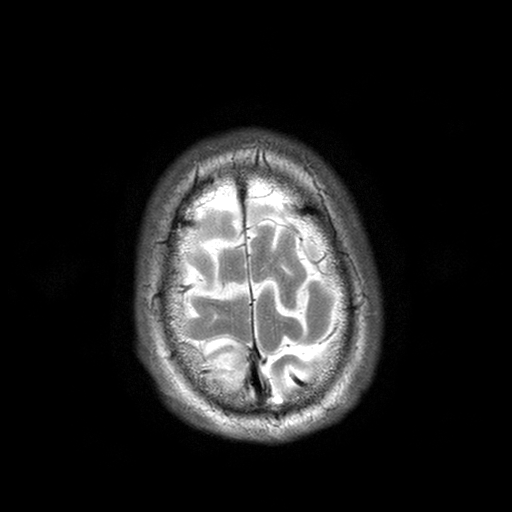
modality — 3 Tesla brain MRI
series — T2-weighted turbo spin echo with SENSE
study — ring-enhancing brain masses